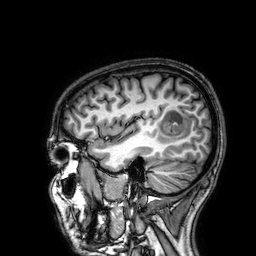
3 Tesla brain MRI.
Series: 3D T1-weighted.
Study: ring-enhancing brain masses.